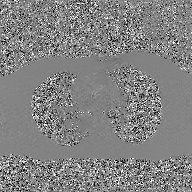
Case summary: 2D phase-contrast cine MRI of the ascending aorta, GAN super-resolution reconstruction.